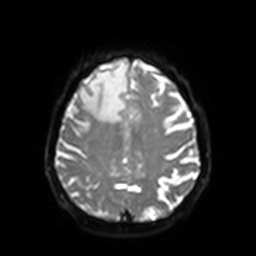
Q: What kind of scan is this?
A: 3 Tesla brain MRI.
Q: Series?
A: Diffusion-weighted imaging with SENSE (WIP).
Study: ring-enhancing brain masses.